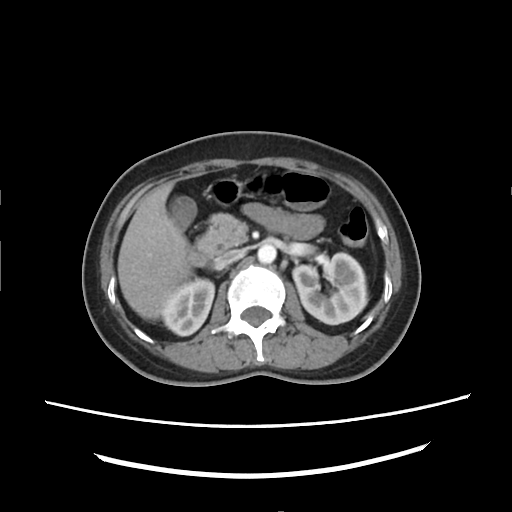
modality:
  type: multiphase abdominal CT
  region: liver
  phase: arterial
patient:
  sex: female
  age: 46